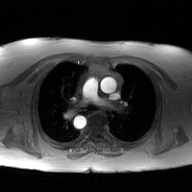
{"modality": {"type": "2D phase-contrast cine MRI", "region": "ascending aorta", "reconstruction": "GAN super-resolution reconstruction"}}